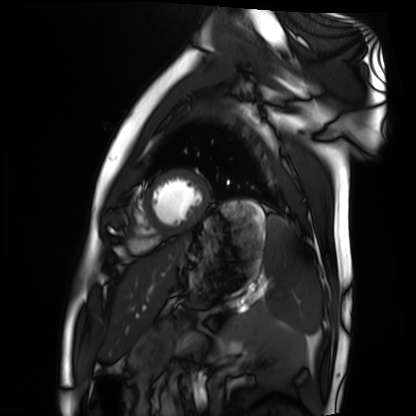
<study>
  <modality>cardiac MRI</modality>
  <cohort>healthy volunteer</cohort>
</study>